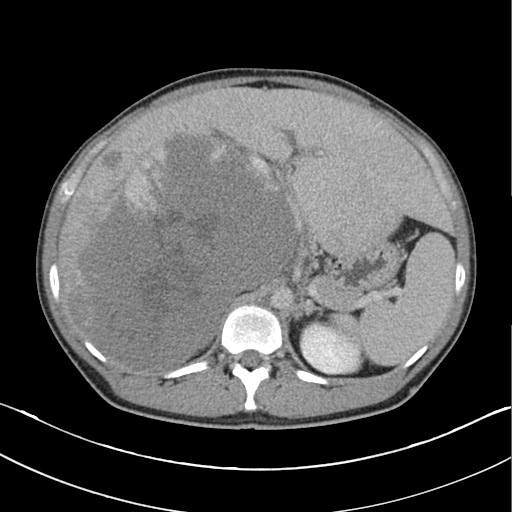
<study>
<modality>
  <type>multiphase abdominal CT</type>
  <region>liver</region>
  <phase>delayed</phase>
</modality>
<patient>
  <sex>male</sex>
  <age>45</age>
</patient>
</study>